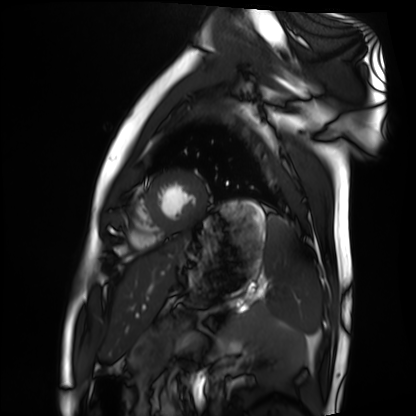
modality = cardiac MRI, subject group = healthy volunteer.